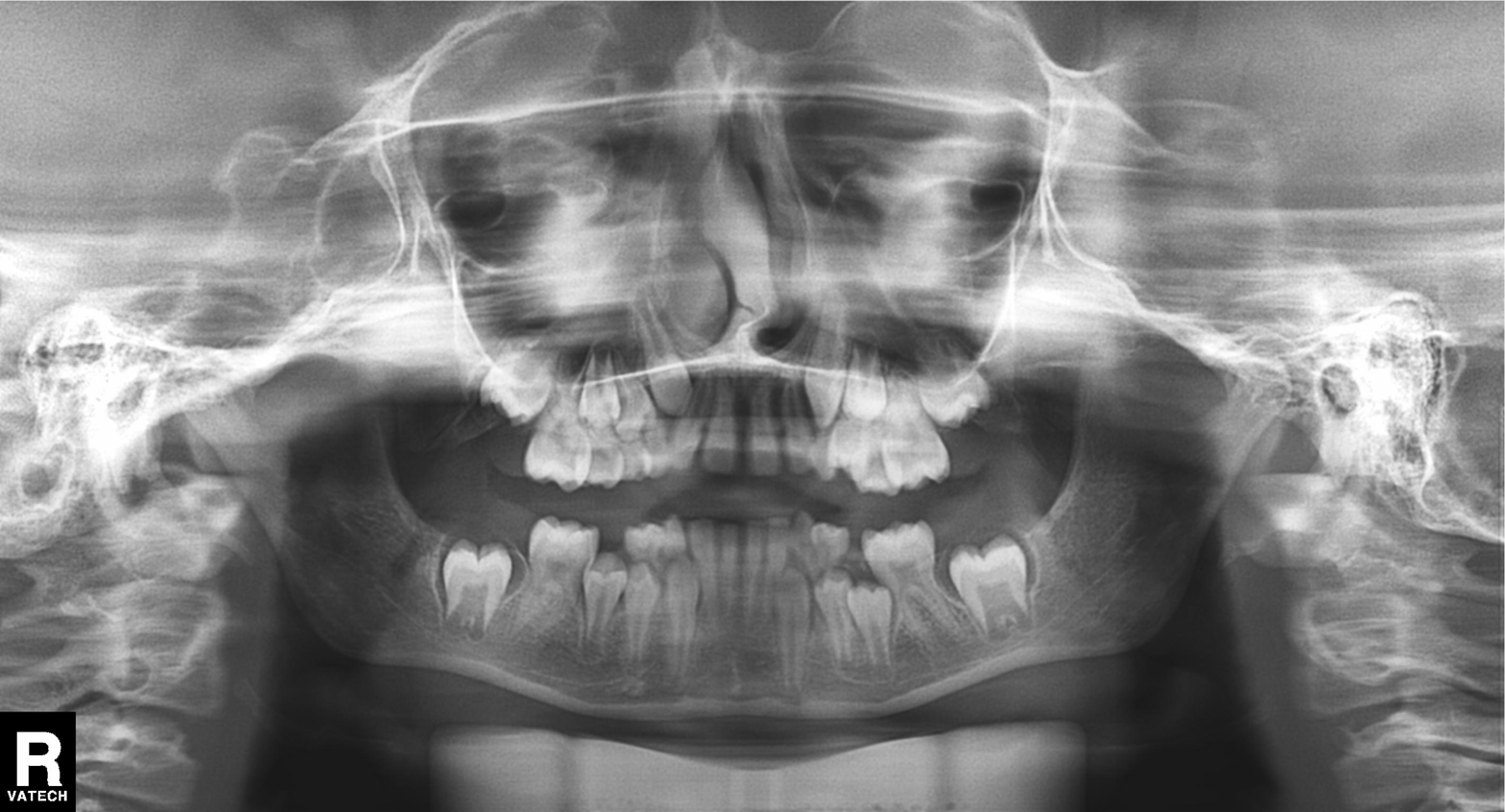
modality = panoramic dental radiograph (orthopantomogram); finding = alveolar bone loss.